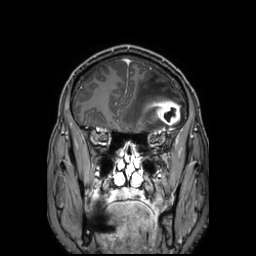
Case:
- modality: 3 Tesla brain MRI
- series: 3D T1-weighted TFE with SENSE
- study: ring-enhancing brain masses